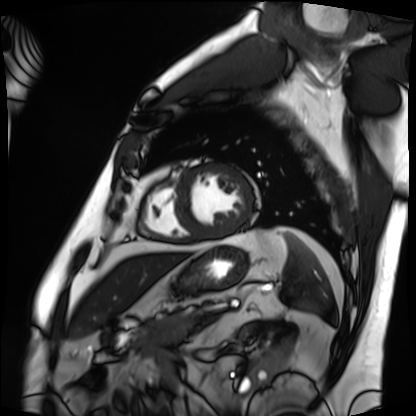
Clinical context: Cardiac MRI. Subject group: patient.